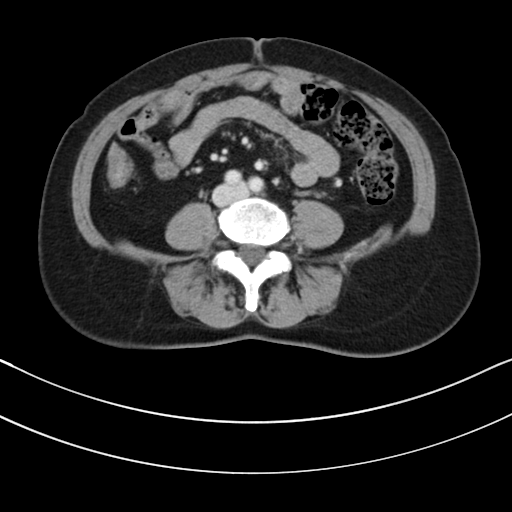
Summary: Multiphase abdominal CT, liver, portal venous phase. Patient: female, age 62.